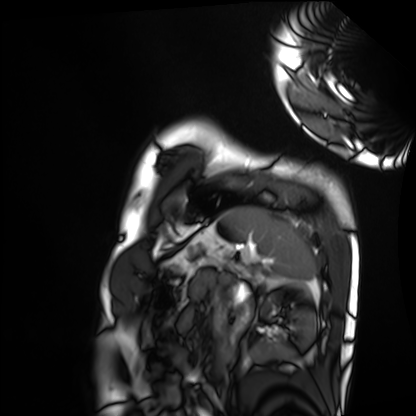
Q: What kind of scan is this?
A: Cardiac MRI.
Subject group: healthy volunteer.